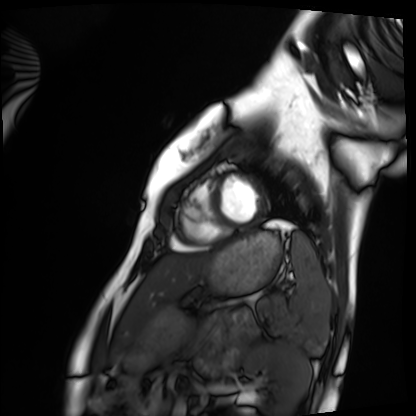
Cardiac MRI.
Subject group: healthy volunteer.